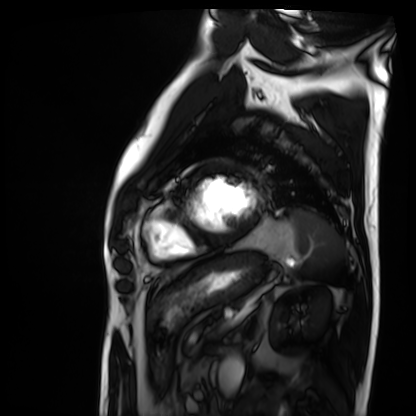
Cardiac MRI.
Subject group: patient.